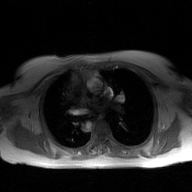
modality: 2D phase-contrast cine MRI of the ascending aorta, GAN super-resolution reconstruction.